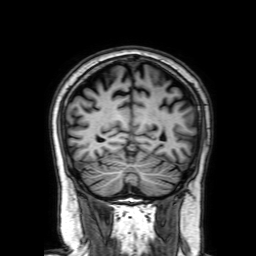
3 Tesla brain MRI. Series: 3D T1-weighted with SENSE. Study: ring-enhancing brain masses.